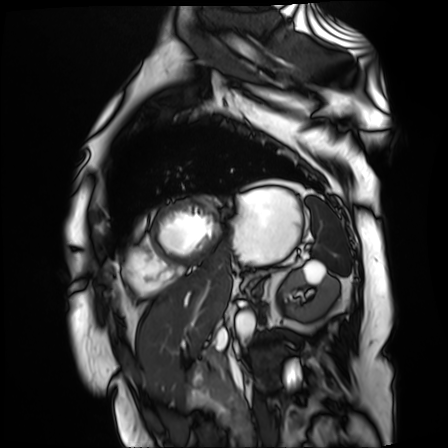
Q: What kind of scan is this?
A: Cardiac MR image of the myocardium.
Subject cohort: cardiac patient.